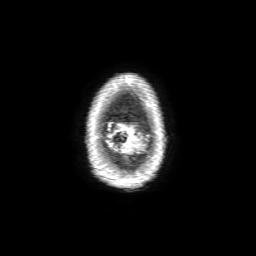
| field | value |
|---|---|
| modality | 3 Tesla brain MRI |
| series | 3D T1-weighted with SENSE |
| study | ring-enhancing brain masses |